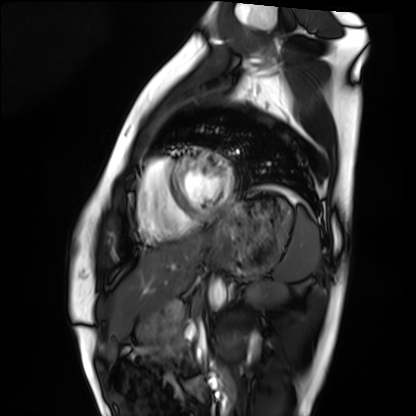
Cardiac MRI.
Subject group: healthy volunteer.